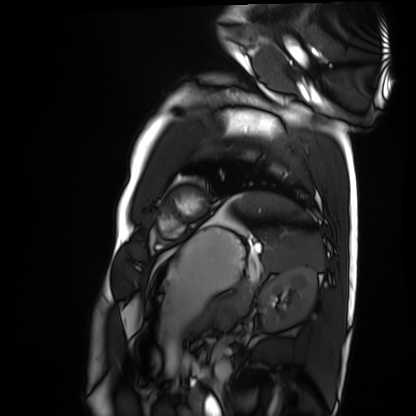
Cardiac MRI.
Subject group: healthy volunteer.